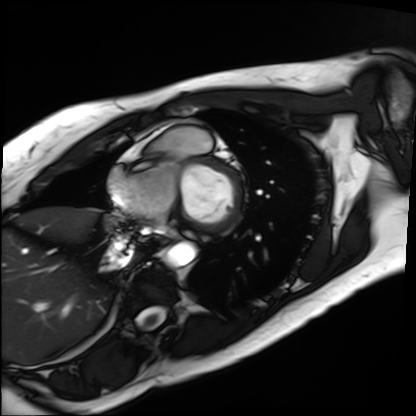
Case:
* modality: cardiac MRI
* subject group: patient